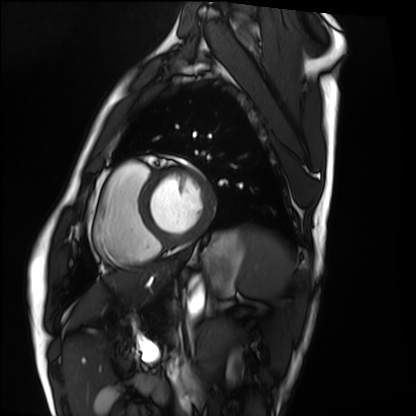
Clinical context:
Cardiac MRI. Subject group: healthy volunteer.